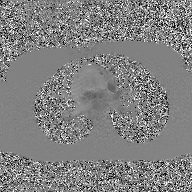
{
  "modality": {
    "type": "2D phase-contrast cine MRI",
    "region": "ascending aorta",
    "reconstruction": "GAN super-resolution reconstruction"
  }
}